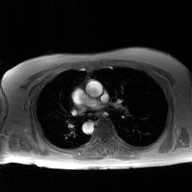
Case:
– modality · 2D phase-contrast cine MRI of the ascending aorta, GAN super-resolution reconstruction